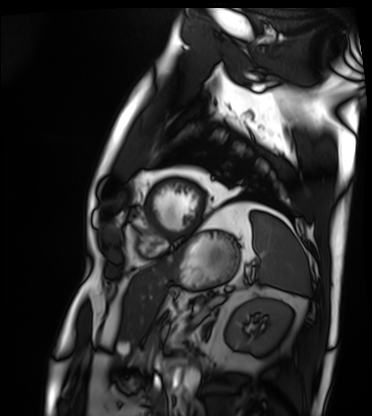
modality=cardiac MRI
subject group=patient